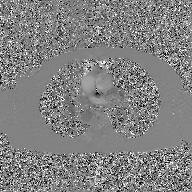
Case:
* modality: 2D phase-contrast cine MRI of the ascending aorta, GAN super-resolution reconstruction